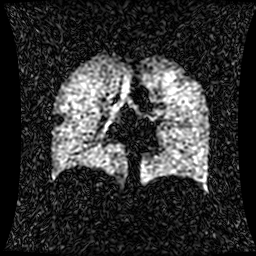
Summary:
Hyperpolarized 129Xe ventilation MRI of the lungs. SNR level 1 of 8 (the deposit holds this scan as its native image and as seven SNR-degraded versions).